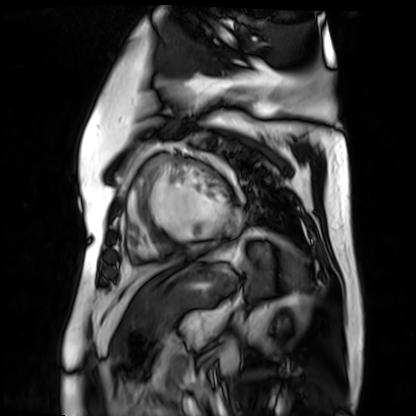
Q: What kind of scan is this?
A: Cardiac MR image of the myocardium.
Subject cohort: cardiac patient.